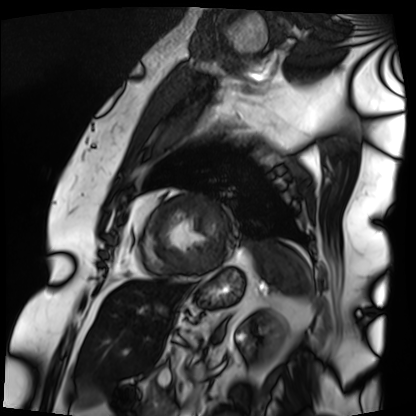
Case:
• modality · cardiac MRI
• subject group · patient